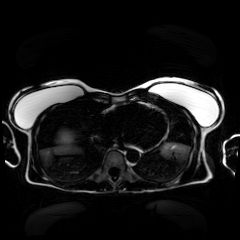
<record>
<modality>chemical-shift-encoded cardiac MRI</modality>
</record>